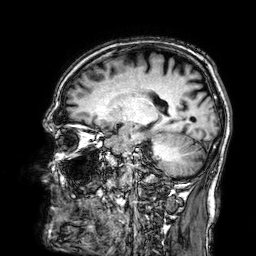
Case:
– modality — 3 Tesla brain MRI
– series — 3D T1-weighted
– study — ring-enhancing brain masses